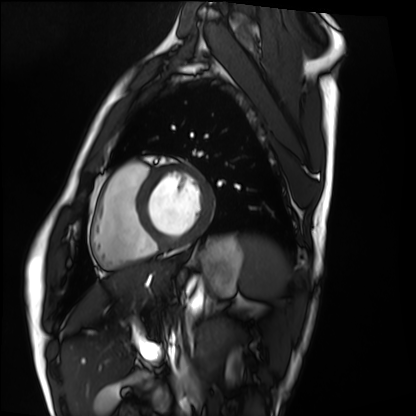
Q: What kind of scan is this?
A: Cardiac MRI.
Subject group: healthy volunteer.